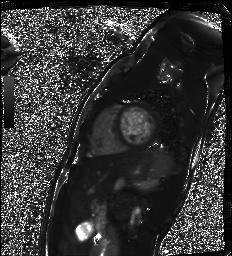
modality: cardiac MR image of the myocardium; subject cohort: healthy volunteer.